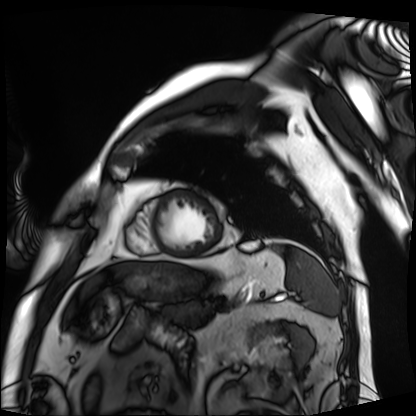
Summary: Cardiac MRI. Subject group: patient.